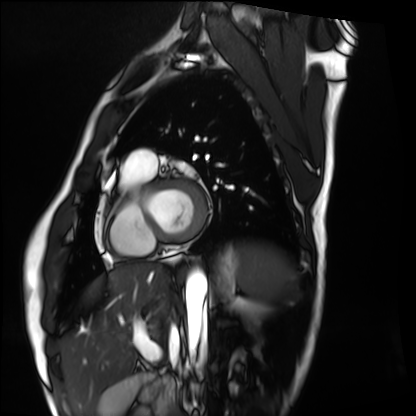
Cardiac MRI.
Subject group: healthy volunteer.